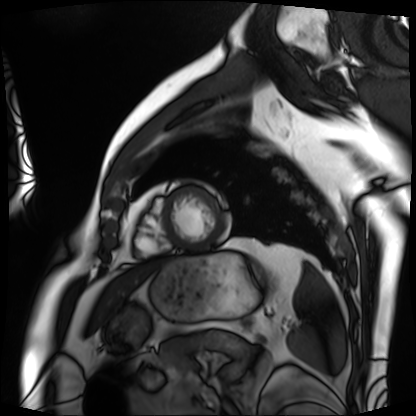
Case:
• modality · cardiac MRI
• subject group · patient